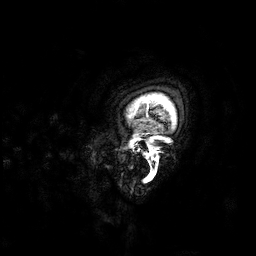
– modality · 3 Tesla brain MRI
– series · 3D T1-weighted
– study · ring-enhancing brain masses